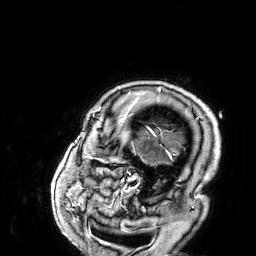
3 Tesla brain MRI. Series: 3D T1-weighted. Study: ring-enhancing brain masses.